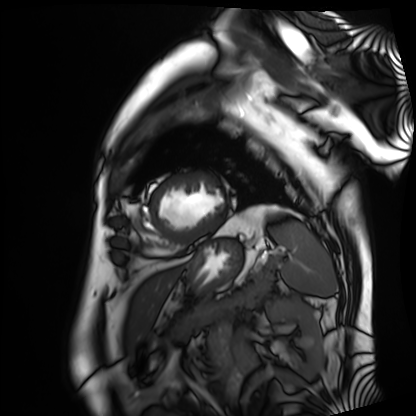
Cardiac MRI.
Subject group: patient.